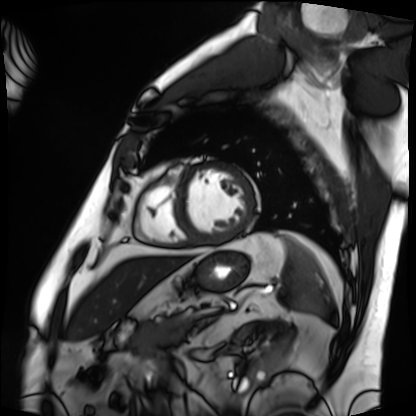
Case summary: Cardiac MRI. Subject group: patient.